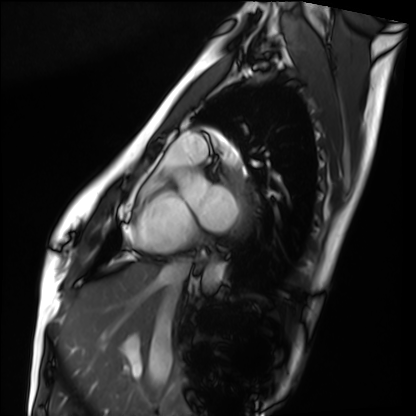
Clinical context: Cardiac MRI. Subject group: healthy volunteer.